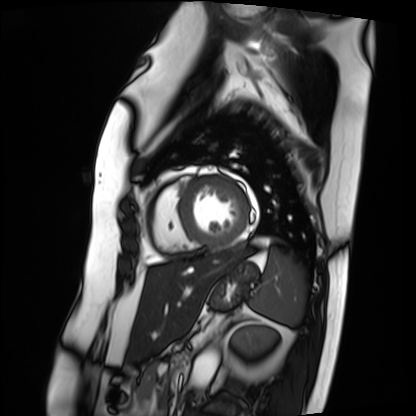
* modality: cardiac MRI
* subject group: patient